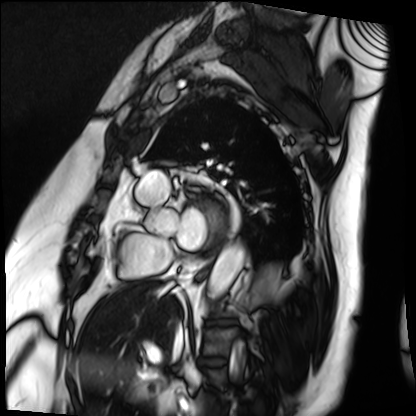
- modality — cardiac MRI
- subject group — patient